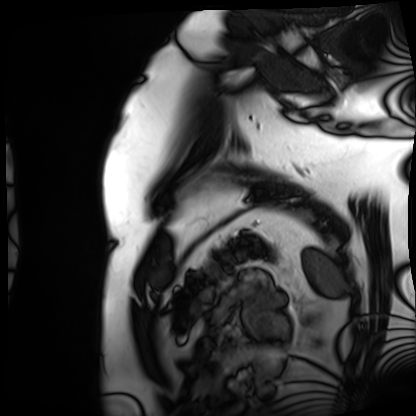
| field | value |
|---|---|
| modality | cardiac MRI |
| subject group | patient |